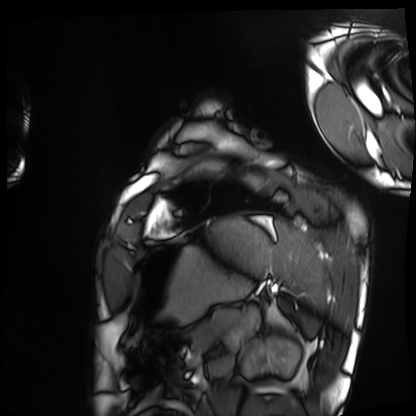
Cardiac MRI. Subject group: healthy volunteer.